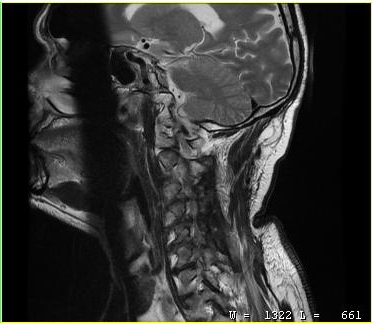
modality — MRI of the cervical spine | study — cervical spondylosis.